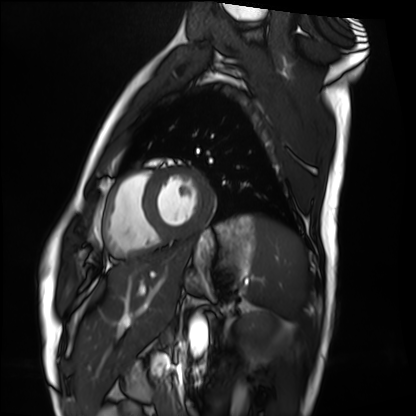
| field | value |
|---|---|
| modality | cardiac MRI |
| subject group | healthy volunteer |